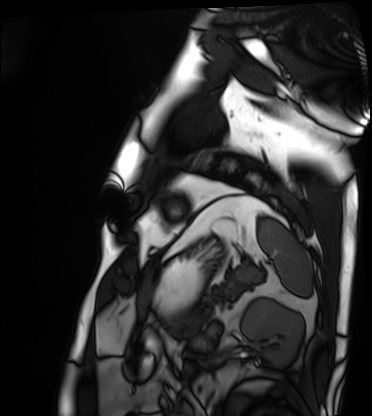
modality — cardiac MRI; subject group — patient.